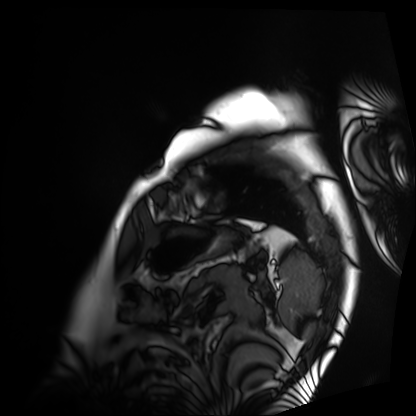
– modality · cardiac MRI
– subject group · patient